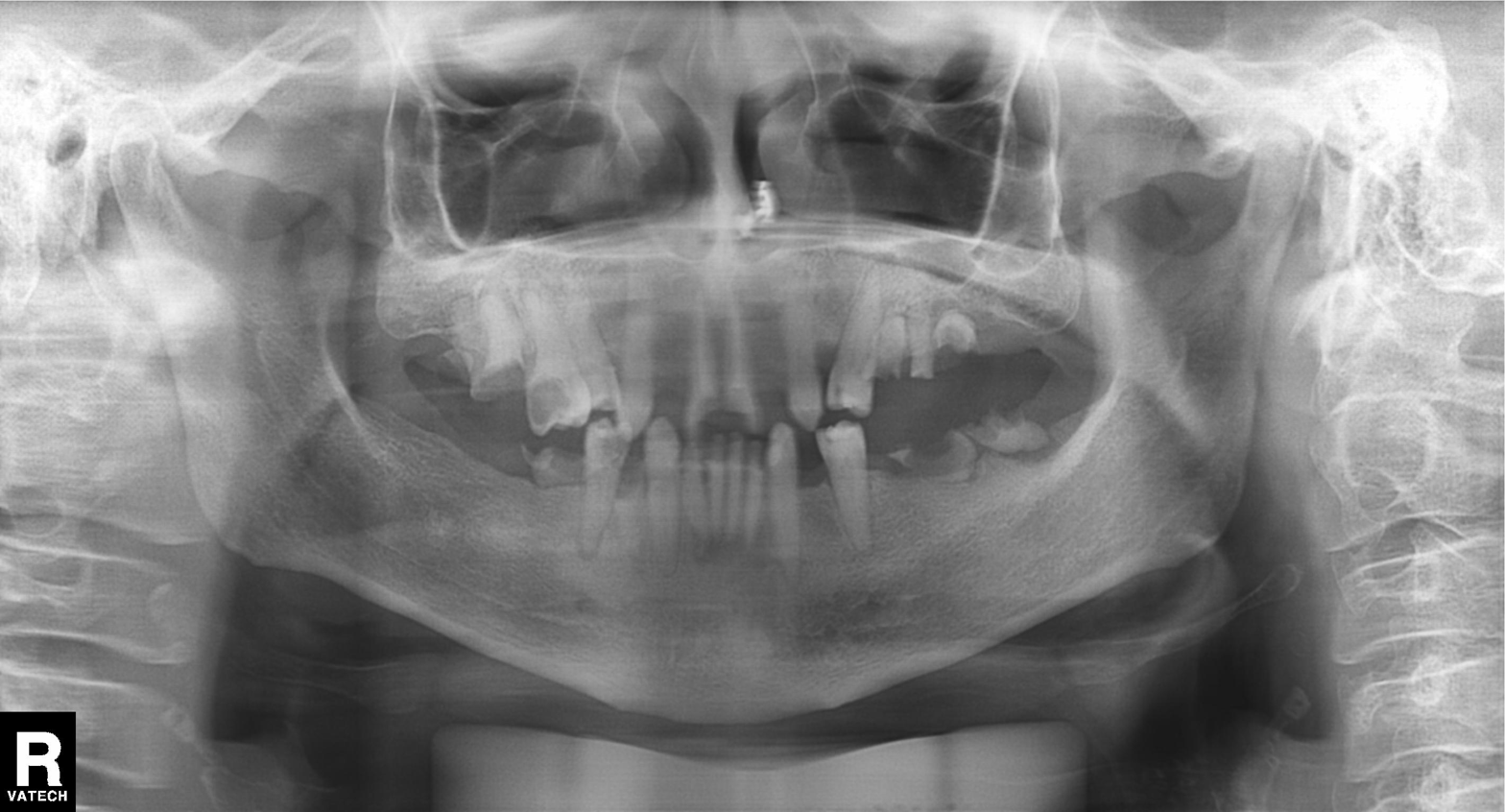
Clinical context:
Panoramic dental radiograph (orthopantomogram).
Impression:
Alveolar bone loss.